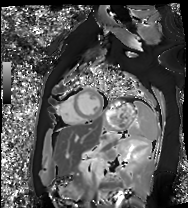
Cardiac MRI. Subject group: healthy volunteer.